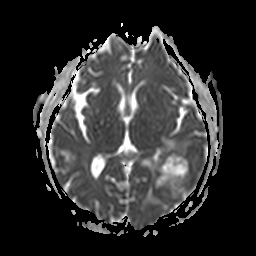
- modality: 3 Tesla brain MRI
- series: apparent diffusion coefficient (ADC) map
- study: ring-enhancing brain masses